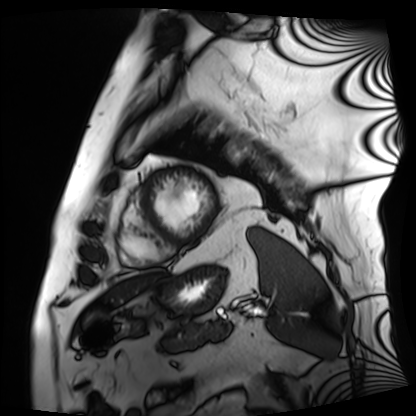
Cardiac MRI. Subject group: patient.